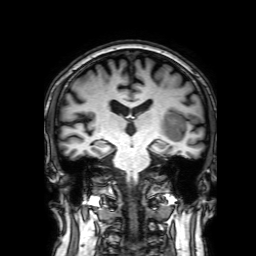
{
  "modality": {
    "type": "brain MRI",
    "field_strength": "3T"
  },
  "series": "3D T1-weighted with SENSE",
  "study_topic": "ring-enhancing brain masses"
}